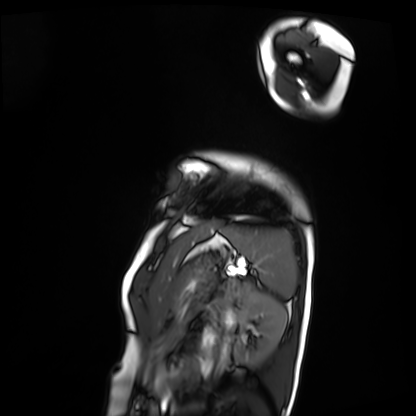
Q: What kind of scan is this?
A: Cardiac MRI.
Subject group: patient.